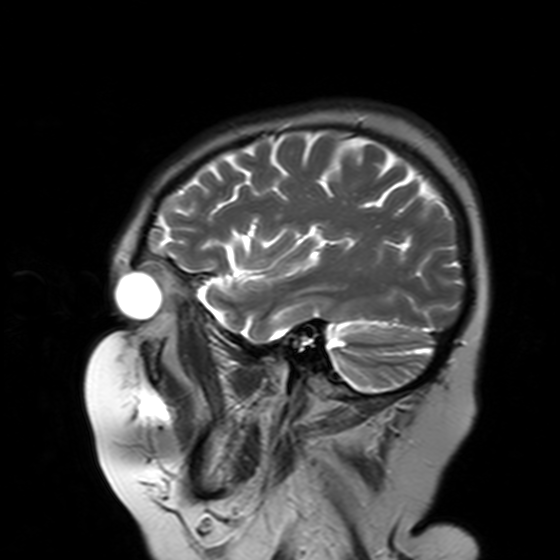
Case:
• modality · 3 Tesla brain MRI
• series · T2-weighted turbo spin echo with SENSE
• study · ring-enhancing brain masses